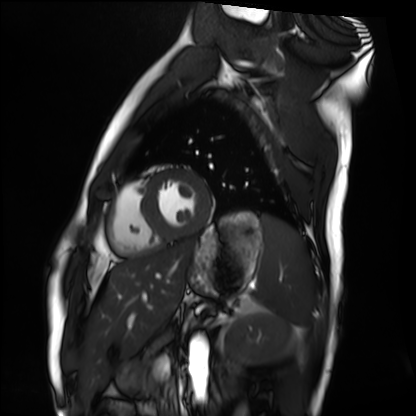
Cardiac MRI. Subject group: healthy volunteer.